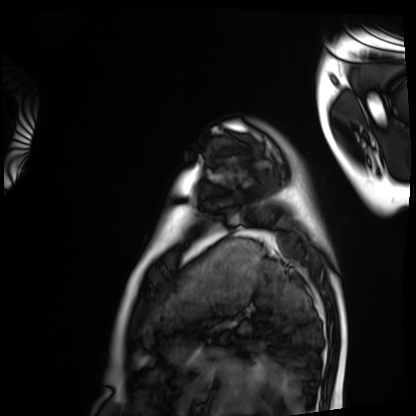
  modality: cardiac MRI
  cohort: healthy volunteer